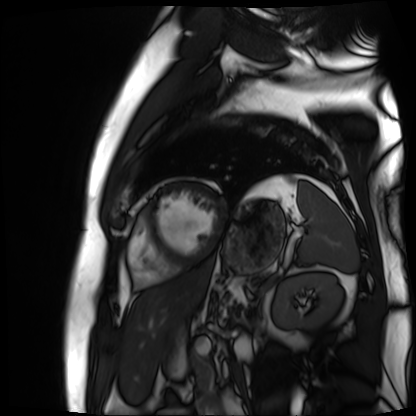
<case>
<modality>cardiac MR image of the myocardium</modality>
<cohort>cardiac patient</cohort>
</case>